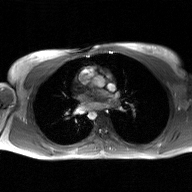
2D phase-contrast cine MRI of the ascending aorta, GAN super-resolution reconstruction.